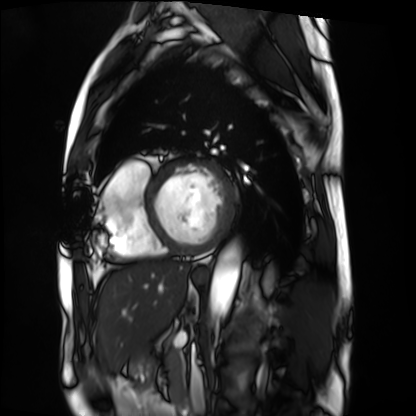
Q: What kind of scan is this?
A: Cardiac MRI.
Subject group: patient.